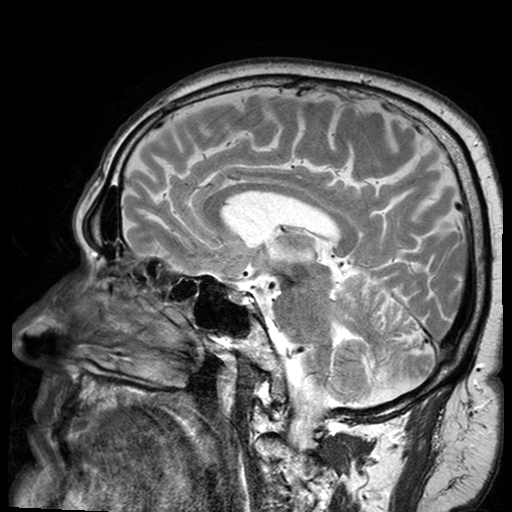
3 Tesla brain MRI.
Series: T2-weighted turbo spin echo with SENSE.
Study: ring-enhancing brain masses.